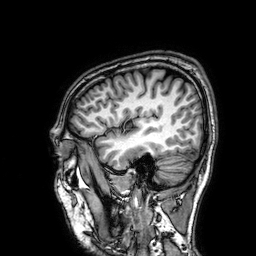
modality=3 Tesla brain MRI
series=3D T1-weighted
study=ring-enhancing brain masses